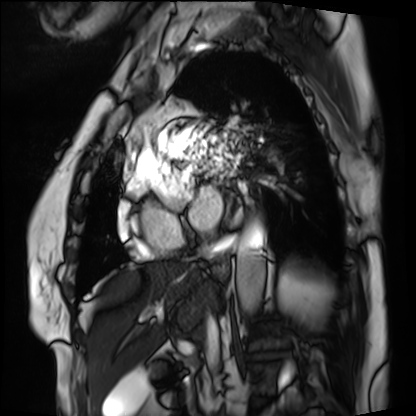
Cardiac MRI. Subject group: patient.